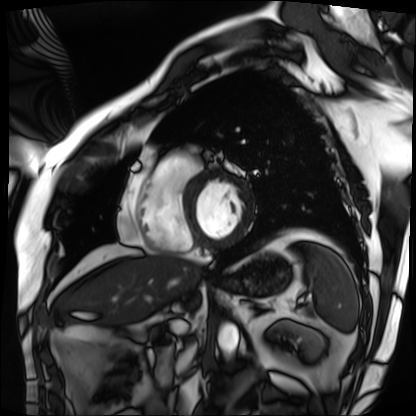
Summary: Cardiac MRI. Subject group: patient.